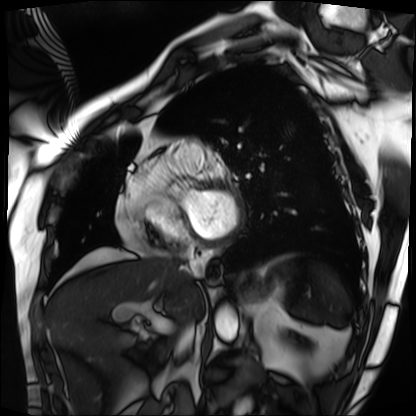
<record>
  <modality>cardiac MRI</modality>
  <cohort>patient</cohort>
</record>